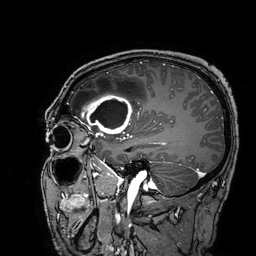
3 Tesla brain MRI. Series: 3D T1-weighted turbo field echo with SENSE. Study: ring-enhancing brain masses.